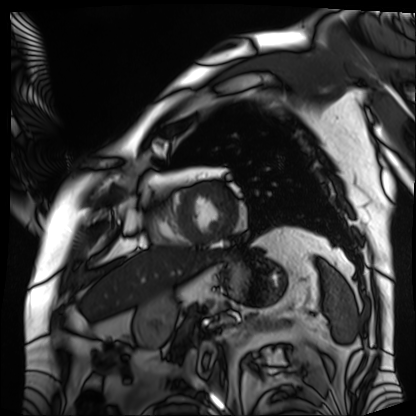
Case summary: Cardiac MRI. Subject group: patient.